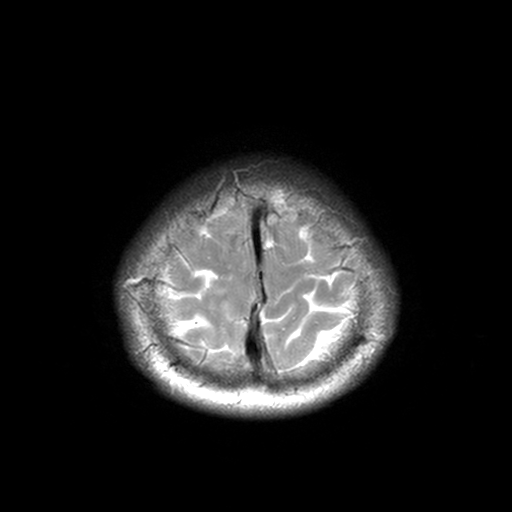
3 Tesla brain MRI. Series: T2-weighted turbo spin echo, 3 mm. Study: ring-enhancing brain masses.